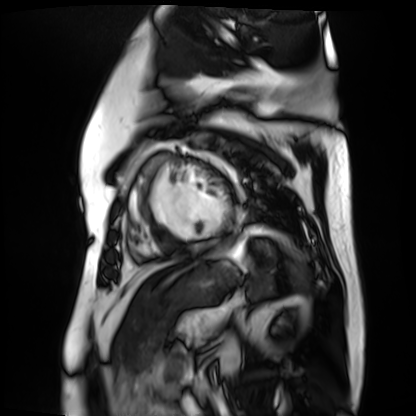
Cardiac MR image of the myocardium. Subject cohort: cardiac patient.